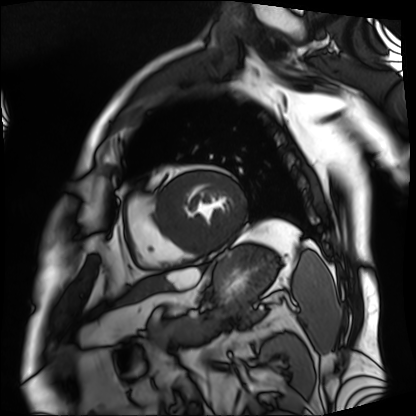
Cardiac MRI. Subject group: patient.